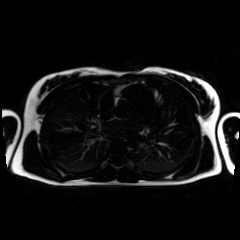
<scan>
<modality>chemical-shift-encoded cardiac MRI</modality>
</scan>